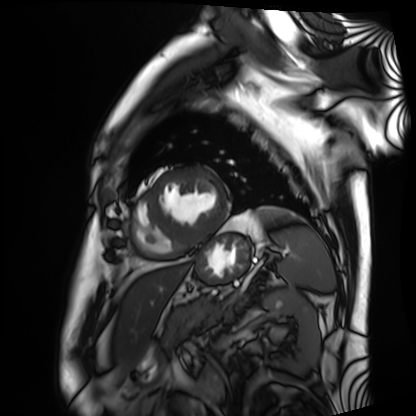
Cardiac MRI. Subject group: patient.